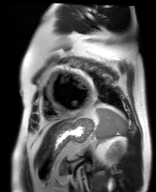
* modality · cardiac MR image of the myocardium
* subject cohort · cardiac patient